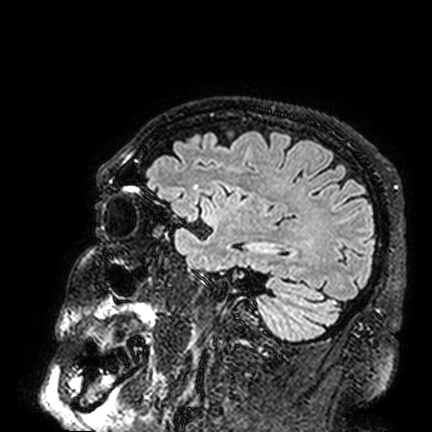
Case:
- modality · 3 Tesla brain MRI
- series · FLAIR VISTA
- study · ring-enhancing brain masses